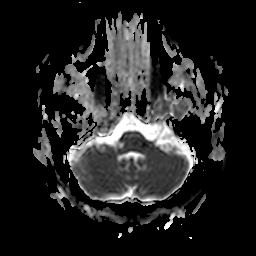
3 Tesla brain MRI.
Series: apparent diffusion coefficient (ADC) map.
Study: ring-enhancing brain masses.